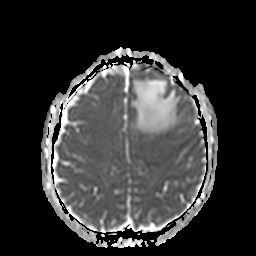
  modality:
    type: brain MRI
    field_strength: 3T
  series: apparent diffusion coefficient (ADC) map
  study_topic: ring-enhancing brain masses